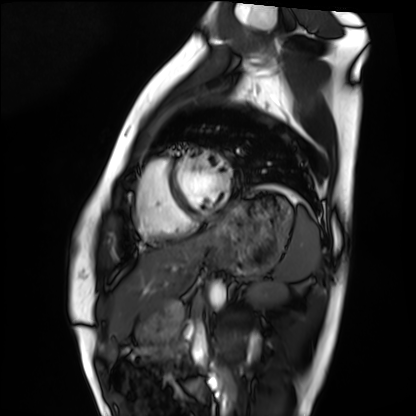
Cardiac MRI.
Subject group: healthy volunteer.